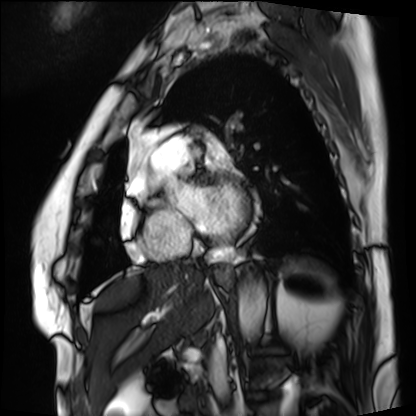
Summary:
Cardiac MRI. Subject group: patient.